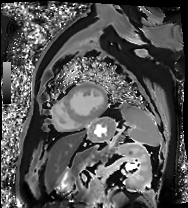
Cardiac MRI.
Subject group: patient.